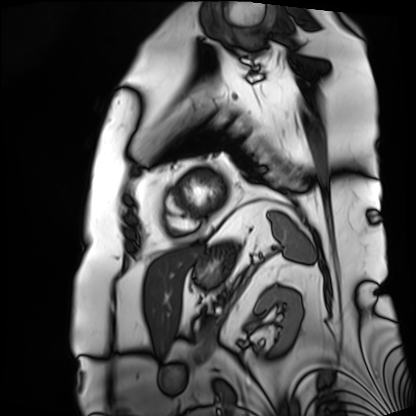
Cardiac MRI. Subject group: patient.